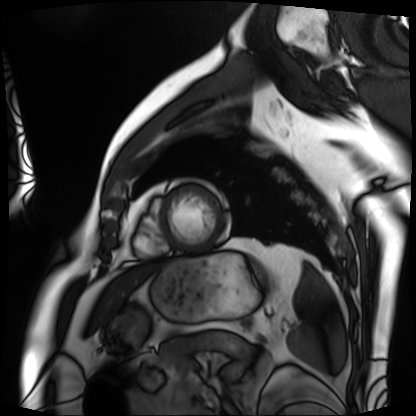
Cardiac MRI. Subject group: patient.